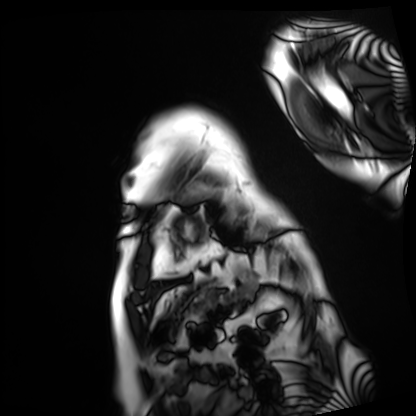
Q: What kind of scan is this?
A: Cardiac MRI.
Subject group: patient.